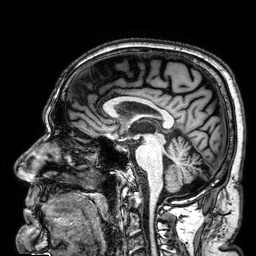
3 Tesla brain MRI. Series: 3D T1-weighted. Study: ring-enhancing brain masses.